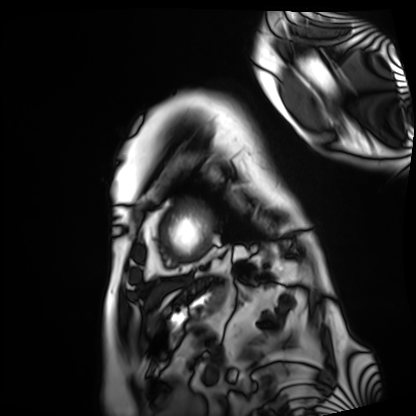
modality: cardiac MRI
cohort: patient